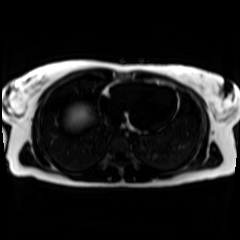
<scan>
<modality>chemical-shift-encoded cardiac MRI</modality>
</scan>